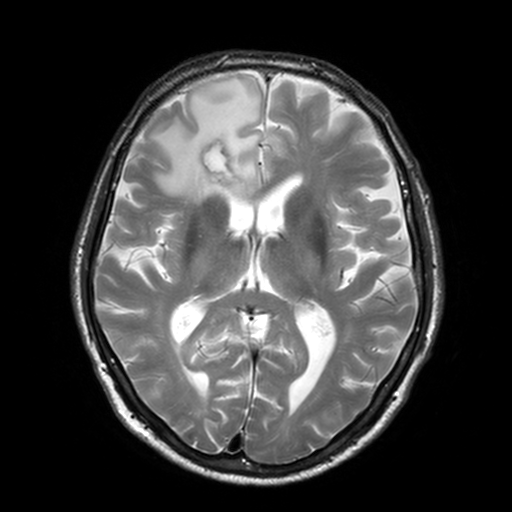
{
  "modality": {
    "type": "brain MRI",
    "field_strength": "3T"
  },
  "series": "T2-weighted turbo spin echo, 3 mm",
  "study_topic": "ring-enhancing brain masses"
}